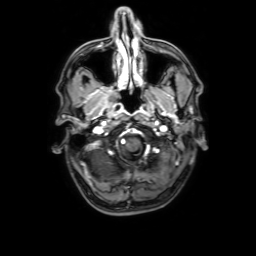
Case summary: 3 Tesla brain MRI. Series: 3D T1-weighted with SENSE. Study: ring-enhancing brain masses.